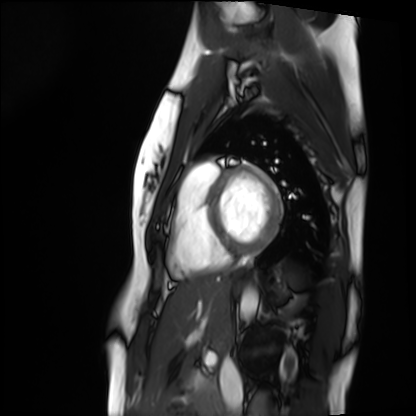
Cardiac MRI.
Subject group: healthy volunteer.